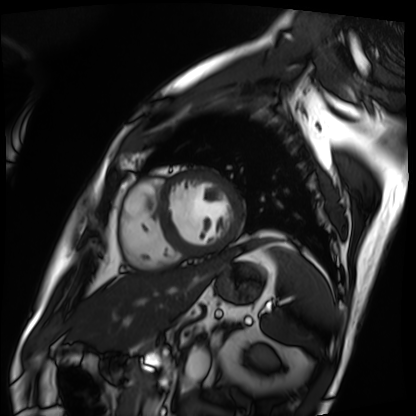
Q: What kind of scan is this?
A: Cardiac MRI.
Subject group: patient.